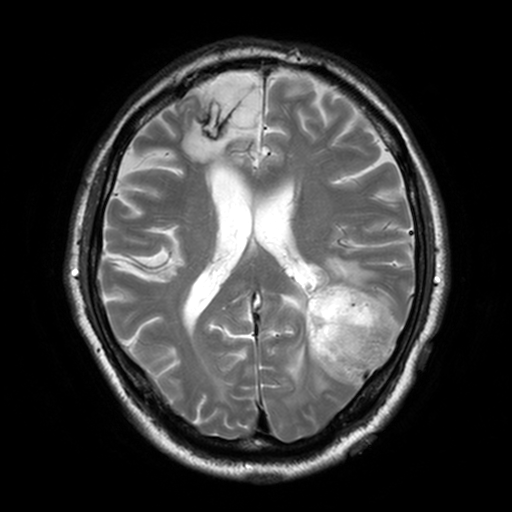
modality = 3 Tesla brain MRI
series = T2-weighted turbo spin echo, 3 mm
study = ring-enhancing brain masses